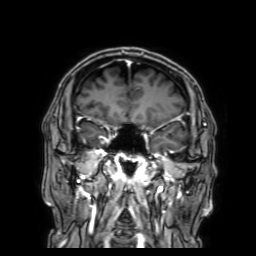
Case:
• modality — 3 Tesla brain MRI
• series — 3D T1-weighted with SENSE
• study — ring-enhancing brain masses